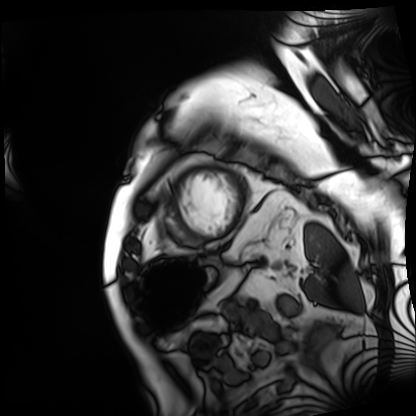
Summary: Cardiac MRI. Subject group: patient.